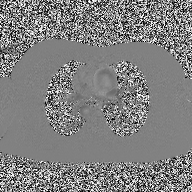
Case summary:
2D phase-contrast cine MRI of the ascending aorta, high-resolution GRAPPA acquisition.